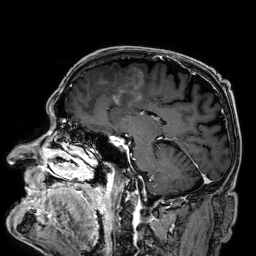
{"modality": {"type": "brain MRI", "field_strength": "3T"}, "series": "3D T1-weighted", "study_topic": "ring-enhancing brain masses"}